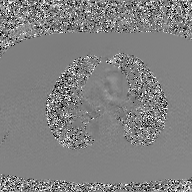
Case summary:
2D phase-contrast cine MRI of the ascending aorta, GAN super-resolution reconstruction.